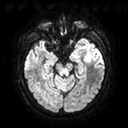
Q: What kind of scan is this?
A: 3 Tesla brain MRI.
Q: Series?
A: Diffusion tensor imaging (medium iso).
Study: ring-enhancing brain masses.